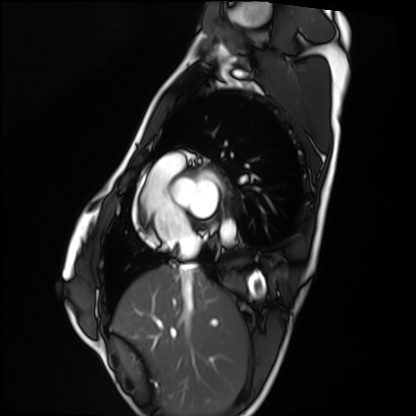
modality = cardiac MRI | subject group = healthy volunteer.